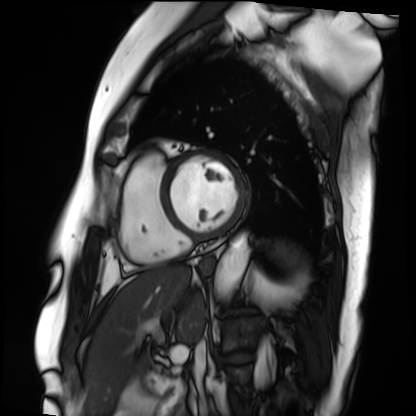
Clinical context:
Cardiac MRI. Subject group: patient.